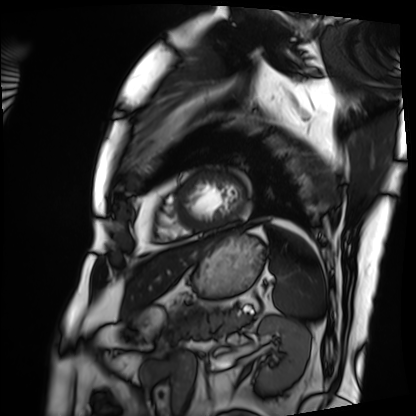
Summary:
Cardiac MRI. Subject group: patient.